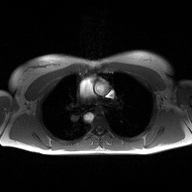
| field | value |
|---|---|
| modality | 2D phase-contrast cine MRI of the ascending aorta |